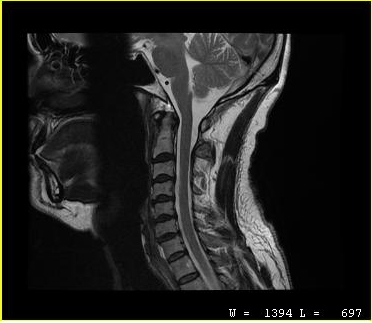
MRI of the cervical spine. Study: cervical spondylosis.